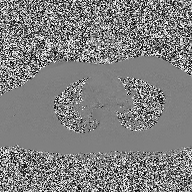
{"modality": {"type": "2D phase-contrast cine MRI", "region": "ascending aorta", "reconstruction": "high-resolution GRAPPA acquisition"}}